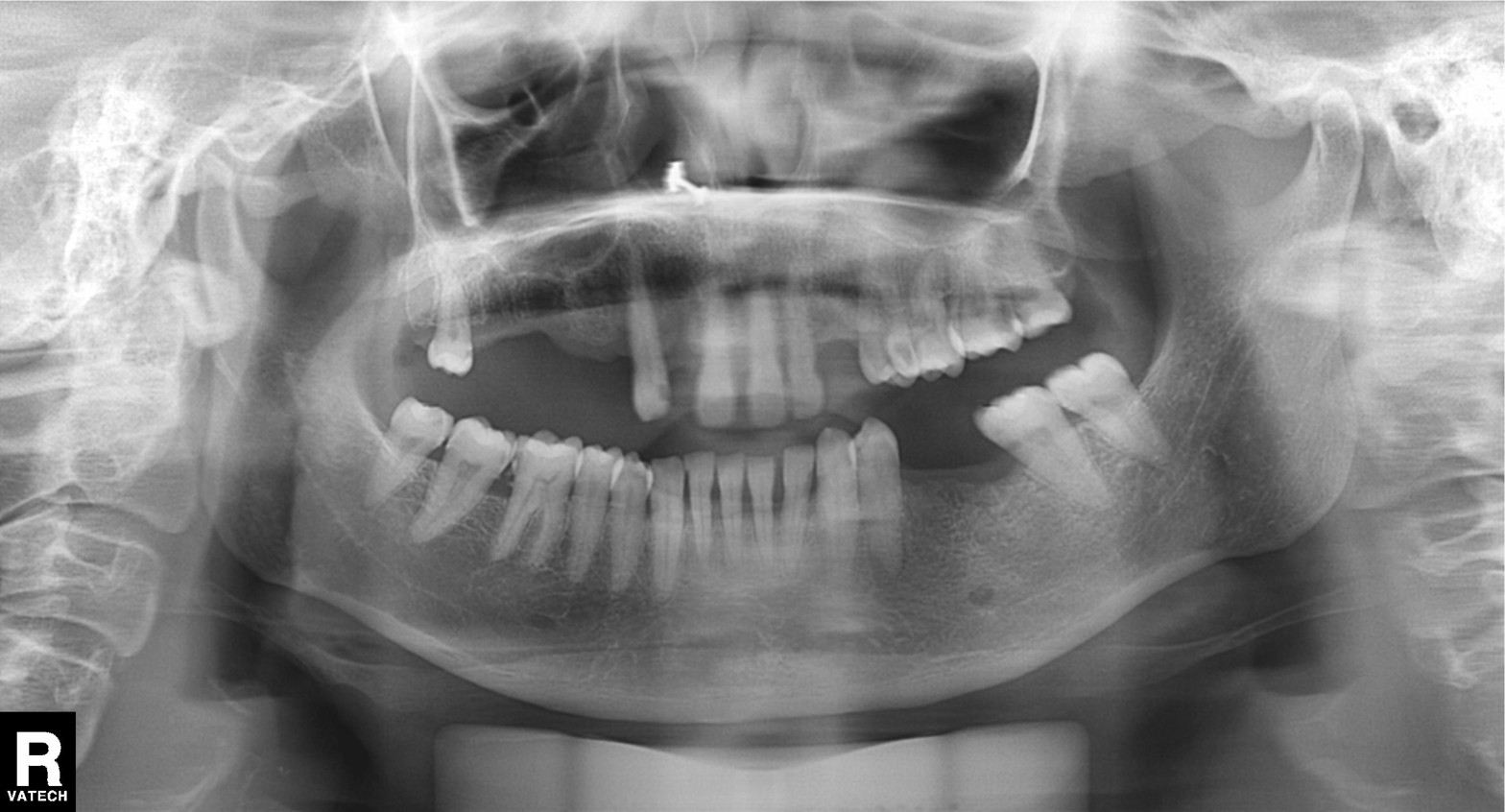
Panoramic dental radiograph (orthopantomogram). Finding: dental caries (cavities).